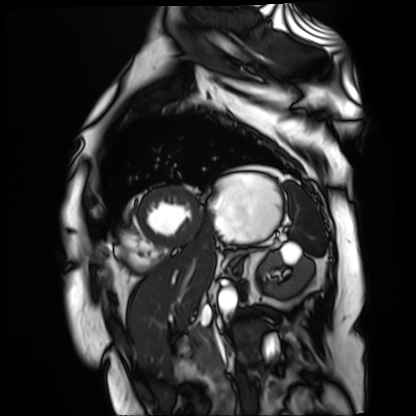
modality: cardiac MR image of the myocardium; subject cohort: cardiac patient.